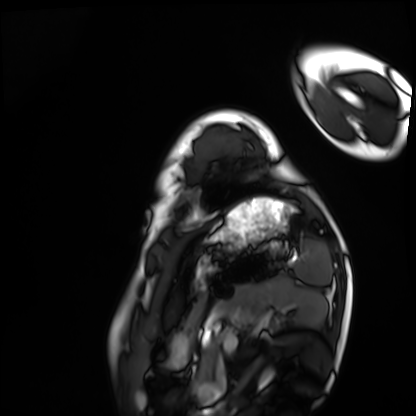
Case:
– modality · cardiac MRI
– subject group · healthy volunteer